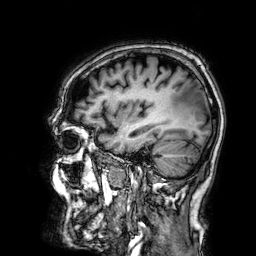
3 Tesla brain MRI. Series: 3D T1-weighted. Study: ring-enhancing brain masses.